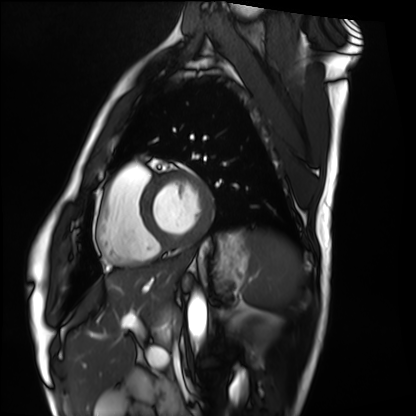
Q: What kind of scan is this?
A: Cardiac MRI.
Subject group: healthy volunteer.